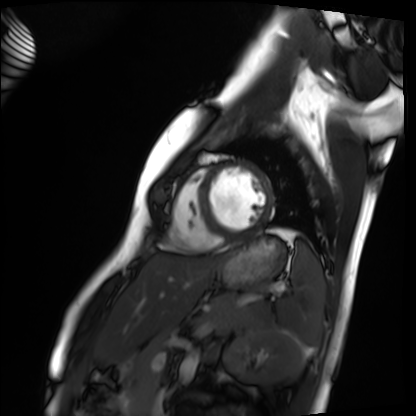
<study>
<modality>cardiac MRI</modality>
<cohort>healthy volunteer</cohort>
</study>